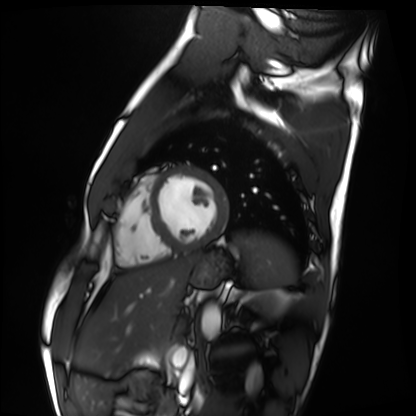
Cardiac MRI.
Subject group: healthy volunteer.